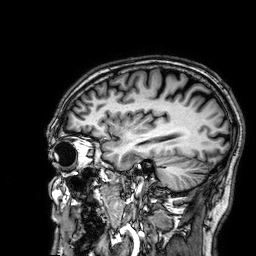
• modality — 3 Tesla brain MRI
• series — 3D T1-weighted
• study — ring-enhancing brain masses